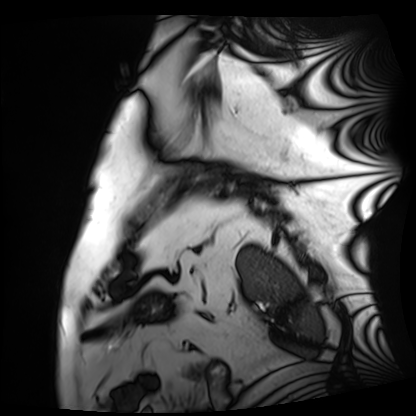
modality: cardiac MRI | subject group: patient.